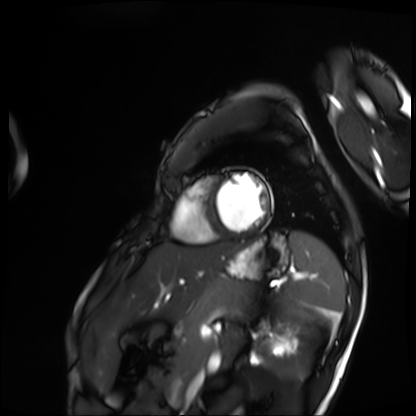
Cardiac MRI.
Subject group: patient.